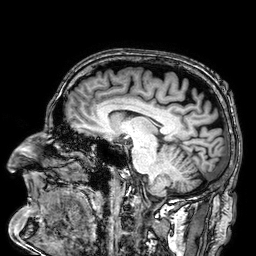
{"modality": {"type": "brain MRI", "field_strength": "3T"}, "series": "3D T1-weighted", "study_topic": "ring-enhancing brain masses"}